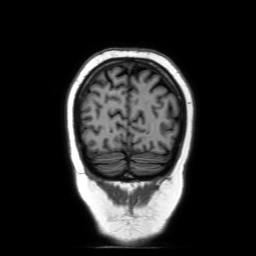
Clinical context: 3 Tesla brain MRI. Study: ring-enhancing brain masses.